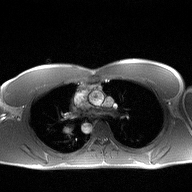
• modality · 2D phase-contrast cine MRI of the ascending aorta